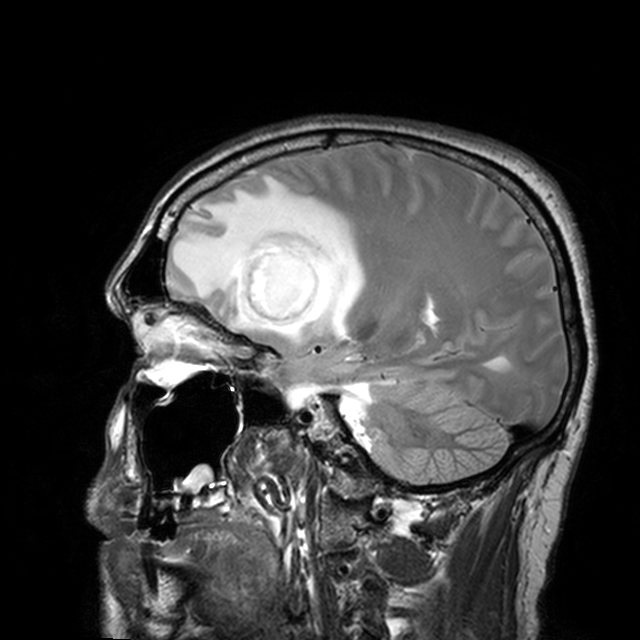
Clinical context:
3 Tesla brain MRI. Series: T2-weighted turbo spin echo with CLEAR. Study: ring-enhancing brain masses.